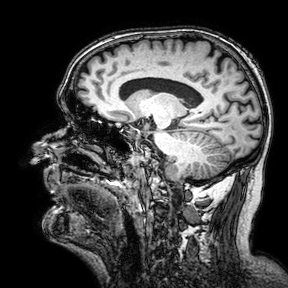
<study>
  <modality>
    <type>brain MRI</type>
    <field_strength>3T</field_strength>
  </modality>
  <series>3D T1-weighted turbo field echo with SENSE</series>
  <study_topic>ring-enhancing brain masses</study_topic>
</study>